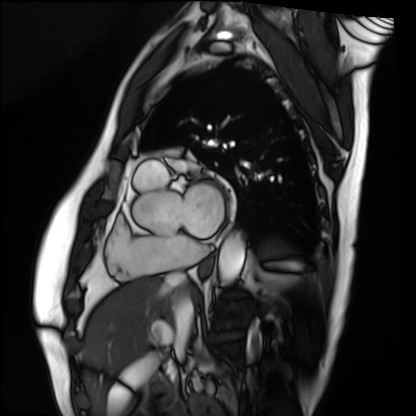
modality: cardiac MRI | subject group: patient.